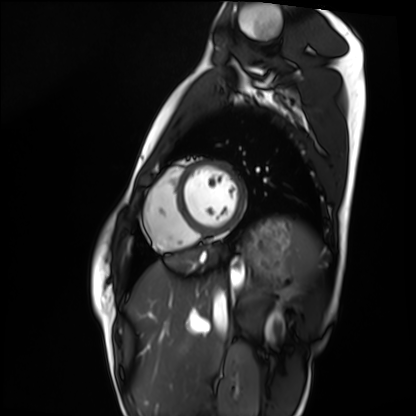
Cardiac MRI.
Subject group: healthy volunteer.